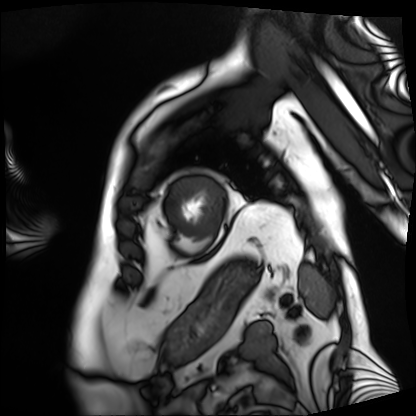
Q: What kind of scan is this?
A: Cardiac MRI.
Subject group: patient.